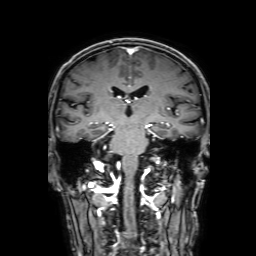
3 Tesla brain MRI.
Series: 3D T1-weighted with SENSE.
Study: ring-enhancing brain masses.